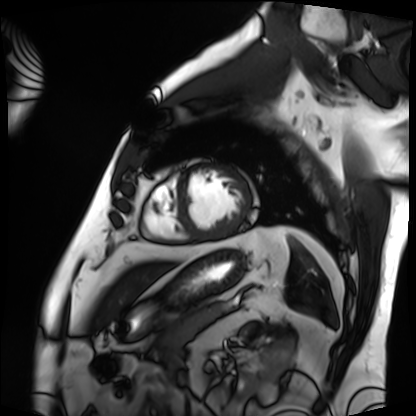
* modality · cardiac MRI
* subject group · patient